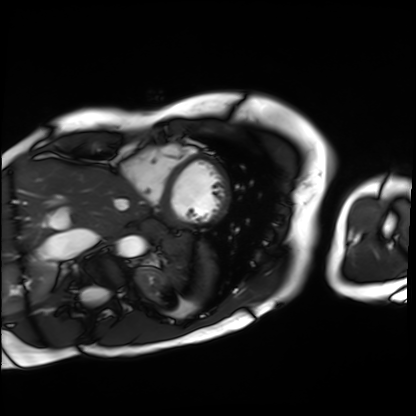
Q: What kind of scan is this?
A: Cardiac MRI.
Subject group: patient.